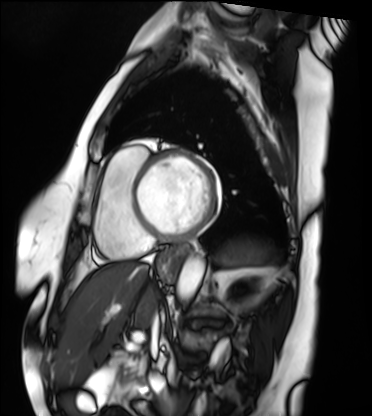
{"modality": "cardiac MRI", "cohort": "patient"}